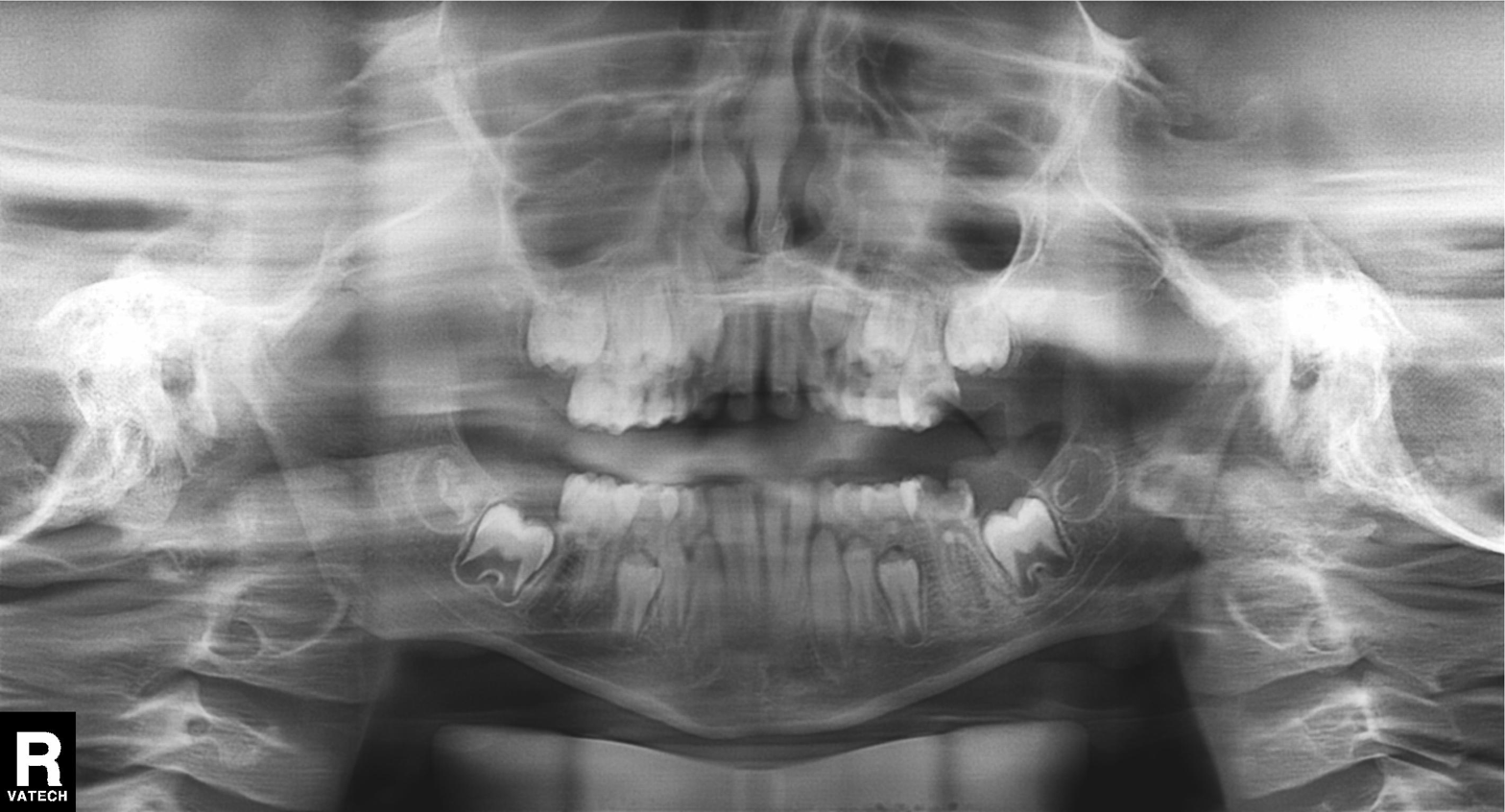
Summary: Panoramic dental radiograph (orthopantomogram).
Diagnosis: Tooth impaction.